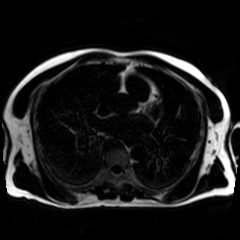
modality: chemical-shift-encoded cardiac MRI